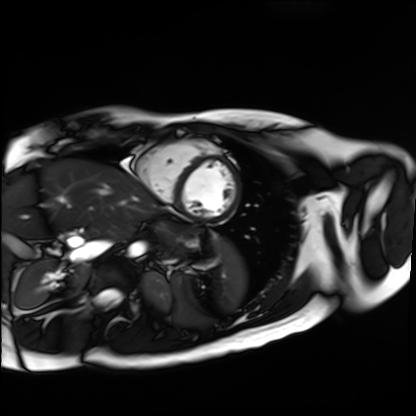
modality = cardiac MR image of the myocardium, subject cohort = healthy volunteer.